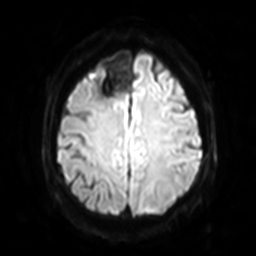
Clinical context:
3 Tesla brain MRI. Series: diffusion-weighted imaging with SENSE (WIP). Study: ring-enhancing brain masses.